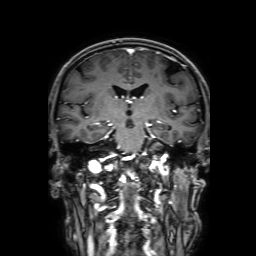
| field | value |
|---|---|
| modality | 3 Tesla brain MRI |
| series | 3D T1-weighted with SENSE |
| study | ring-enhancing brain masses |